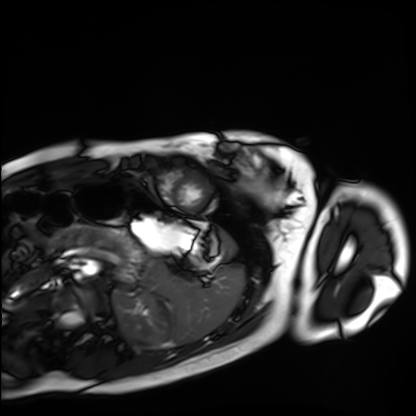
Summary: Cardiac MRI. Subject group: healthy volunteer.